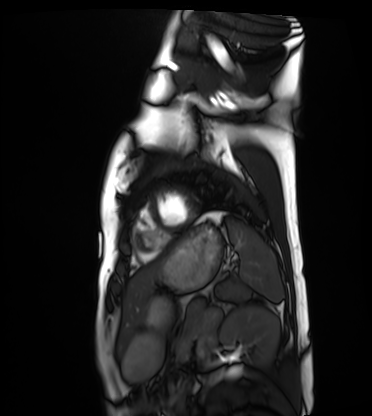
Cardiac MRI. Subject group: healthy volunteer.